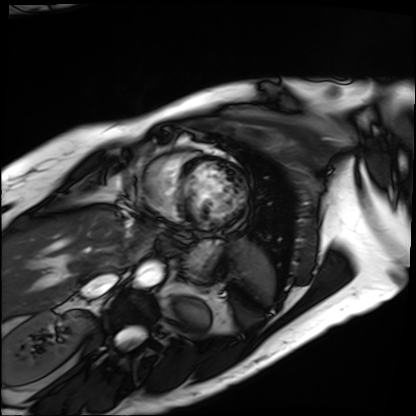
Q: What kind of scan is this?
A: Cardiac MRI.
Subject group: patient.